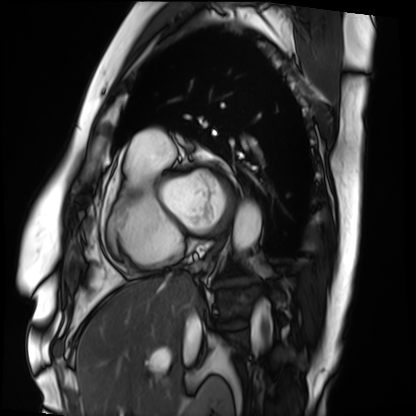
Case summary:
Cardiac MRI. Subject group: patient.